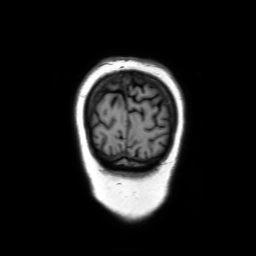
3 Tesla brain MRI.
Series: coronal without contrast.
Study: ring-enhancing brain masses.